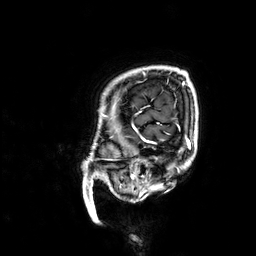
Case:
– modality: 3 Tesla brain MRI
– series: 3D T1-weighted
– study: ring-enhancing brain masses